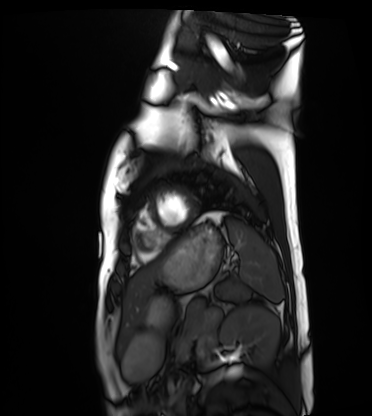
Q: What kind of scan is this?
A: Cardiac MRI.
Subject group: healthy volunteer.